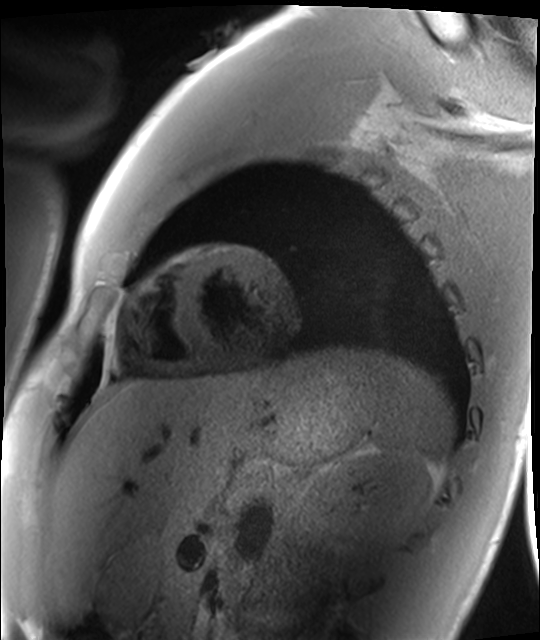
  modality: cardiac MRI
  cohort: healthy volunteer